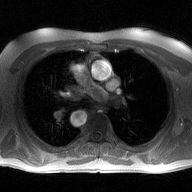
{
  "modality": {
    "type": "2D phase-contrast cine MRI",
    "region": "ascending aorta",
    "reconstruction": "high-resolution GRAPPA acquisition"
  }
}